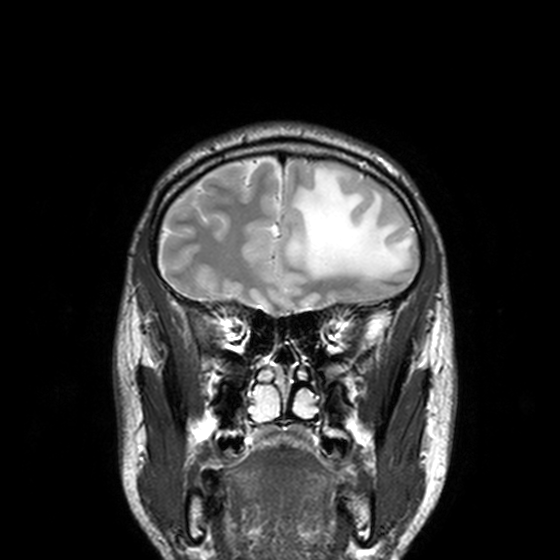
modality = 3 Tesla brain MRI | series = T2-weighted turbo spin echo, 3 mm | study = ring-enhancing brain masses.